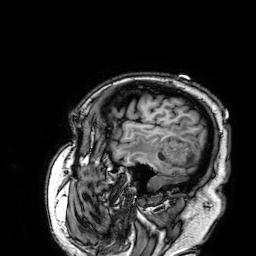
Q: What kind of scan is this?
A: 3 Tesla brain MRI.
Q: Series?
A: 3D T1-weighted.
Study: ring-enhancing brain masses.